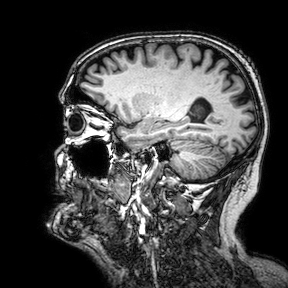
3 Tesla brain MRI. Series: 3D T1-weighted turbo field echo with SENSE. Study: ring-enhancing brain masses.